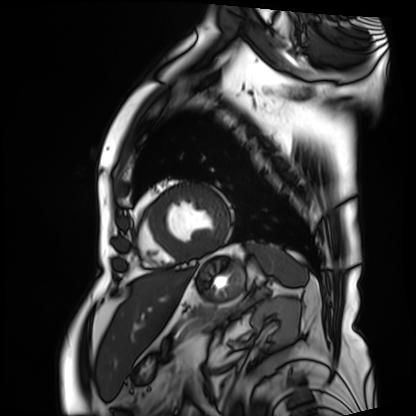
modality: cardiac MRI | subject group: patient.